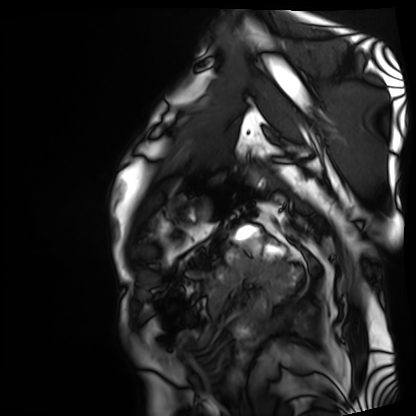
Clinical context:
Cardiac MRI. Subject group: patient.